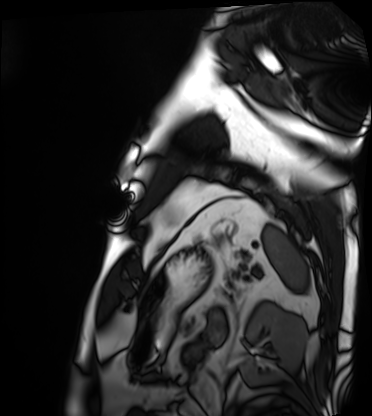
Cardiac MRI.
Subject group: patient.